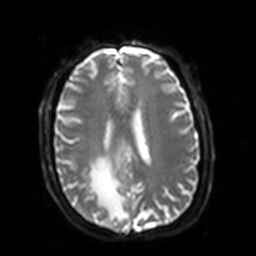
3 Tesla brain MRI.
Series: diffusion-weighted imaging with SENSE (WIP).
Study: ring-enhancing brain masses.